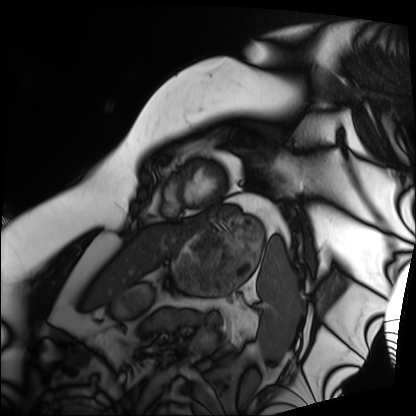
modality — cardiac MRI; subject group — patient.